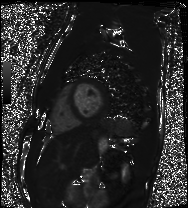
• modality — cardiac MRI
• subject group — healthy volunteer